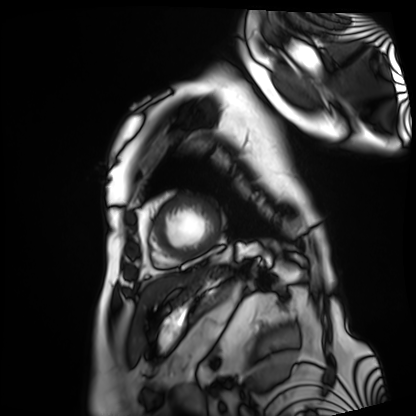
Cardiac MRI. Subject group: patient.